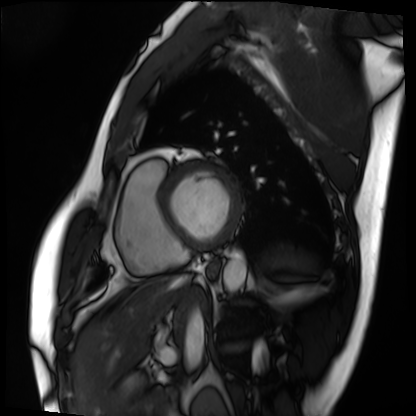
Clinical context:
Cardiac MRI. Subject group: patient.